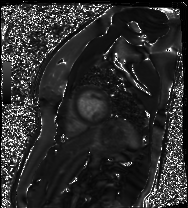
Clinical context:
Cardiac MR image of the myocardium. Subject cohort: healthy volunteer.